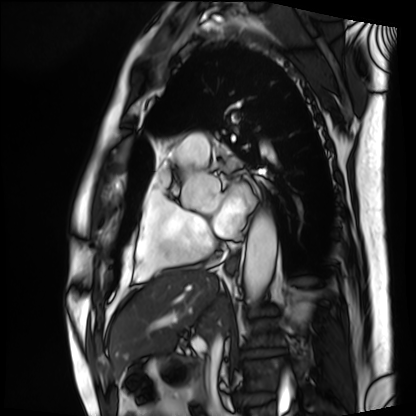
Q: What kind of scan is this?
A: Cardiac MRI.
Subject group: patient.